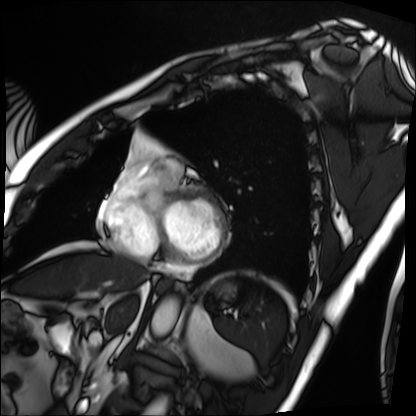
modality: cardiac MRI
subject group: patient